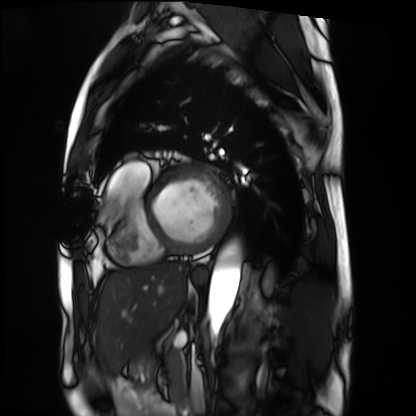
modality: cardiac MRI
cohort: patient